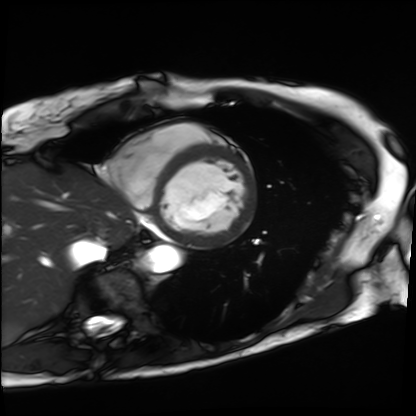
Summary: Cardiac MRI. Subject group: patient.